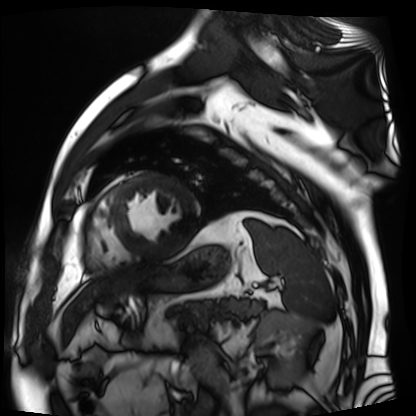
Cardiac MR image of the myocardium.
Subject cohort: cardiac patient.